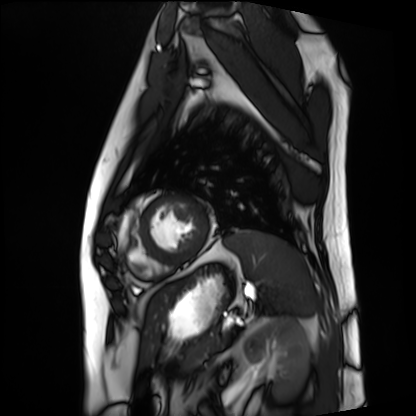
| field | value |
|---|---|
| modality | cardiac MRI |
| subject group | patient |